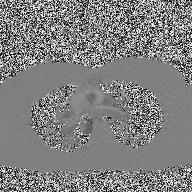
2D phase-contrast cine MRI of the ascending aorta, high-resolution GRAPPA acquisition.